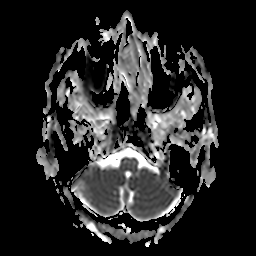
{"modality": {"type": "brain MRI", "field_strength": "3T"}, "study_topic": "ring-enhancing brain masses"}